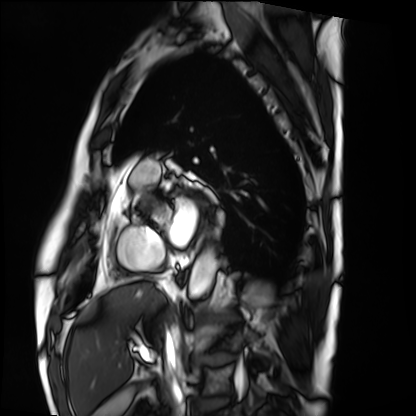
modality: cardiac MRI; subject group: patient.